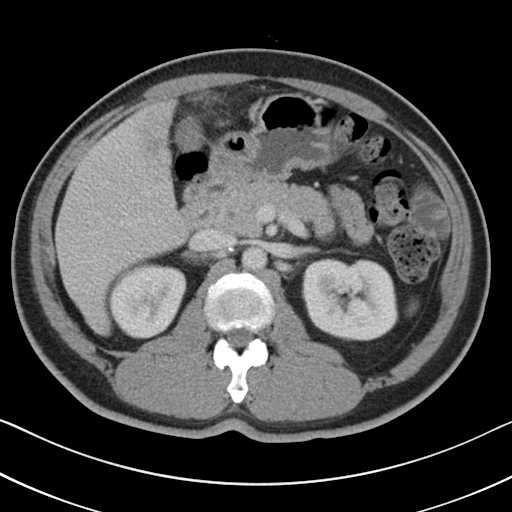
Summary:
Multiphase abdominal CT, liver, portal venous phase. Patient: male, age 51.